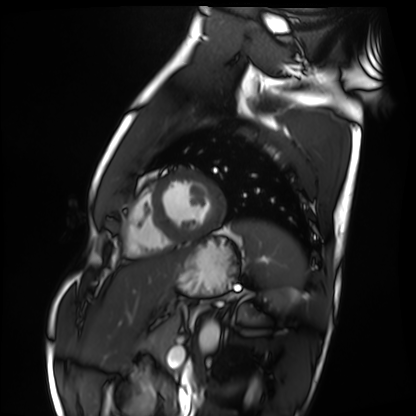
modality: cardiac MRI | subject group: healthy volunteer.